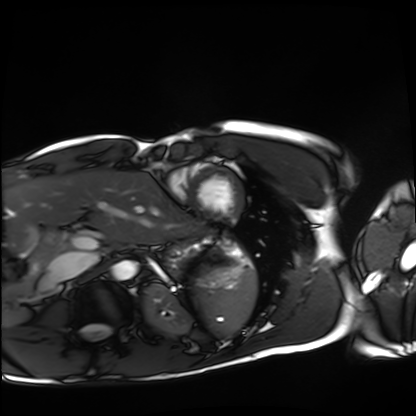
Cardiac MRI.
Subject group: healthy volunteer.